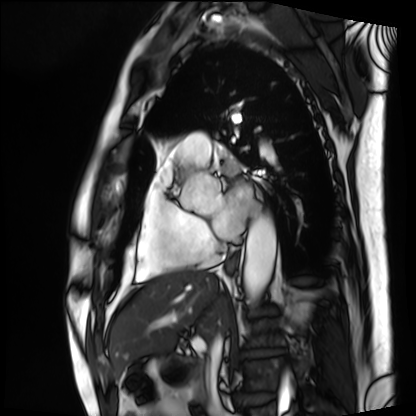
Cardiac MRI.
Subject group: patient.